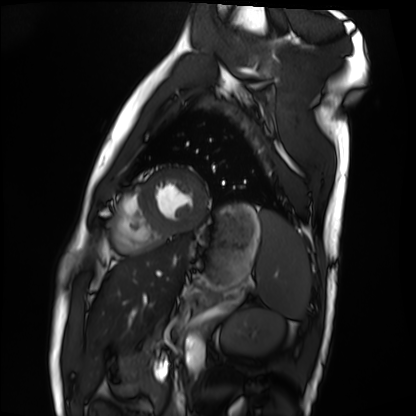
Case summary: Cardiac MRI. Subject group: healthy volunteer.